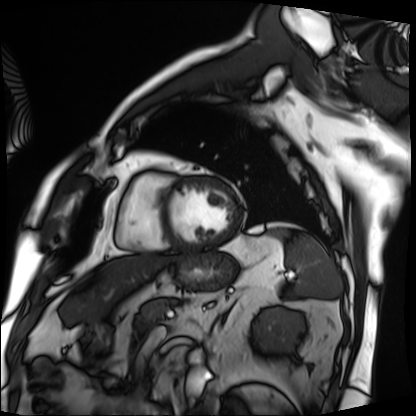
modality — cardiac MRI
subject group — patient